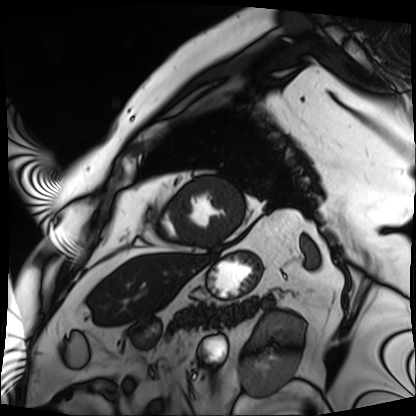
- modality: cardiac MRI
- subject group: patient